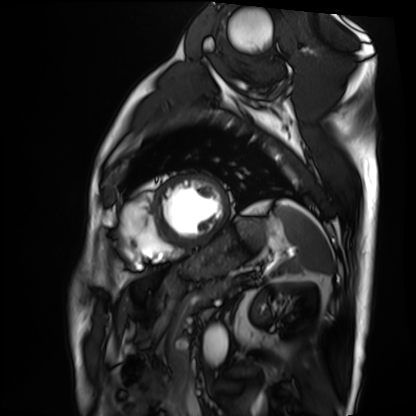
Clinical context: Cardiac MRI. Subject group: patient.